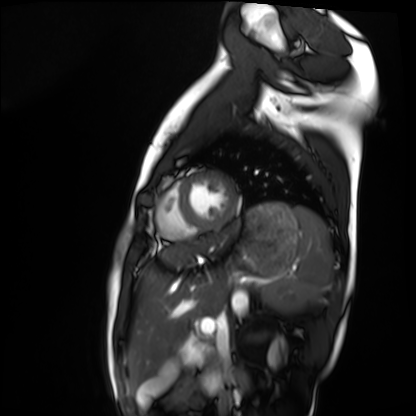
Q: What kind of scan is this?
A: Cardiac MRI.
Subject group: healthy volunteer.